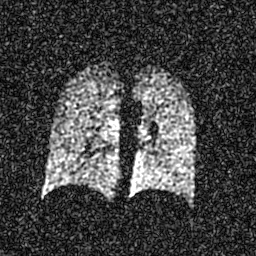
Summary:
Hyperpolarized 129Xe ventilation MRI of the lungs. SNR level 5 of 8 (the deposit holds this scan as its native image and as seven SNR-degraded versions).